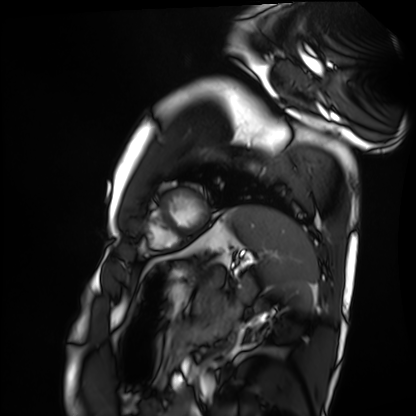
Cardiac MRI.
Subject group: healthy volunteer.